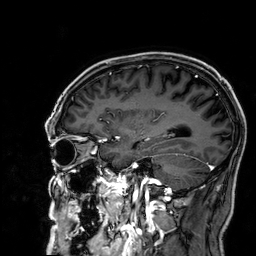
3 Tesla brain MRI.
Series: 3D T1-weighted.
Study: ring-enhancing brain masses.